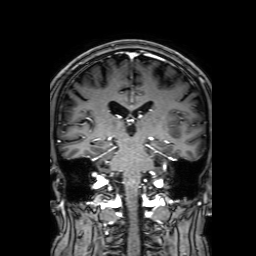
| field | value |
|---|---|
| modality | 3 Tesla brain MRI |
| series | 3D T1-weighted with SENSE |
| study | ring-enhancing brain masses |